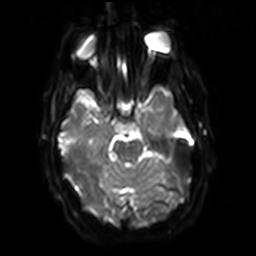
modality: 3 Tesla brain MRI
series: diffusion-weighted imaging with SENSE (WIP)
study: ring-enhancing brain masses